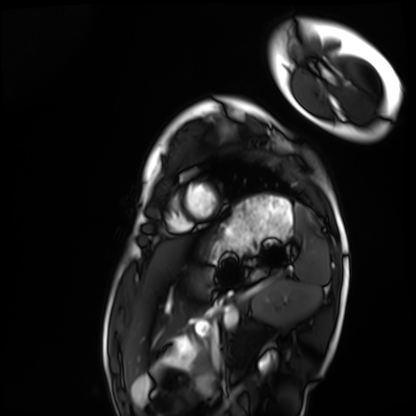
• modality — cardiac MRI
• subject group — healthy volunteer